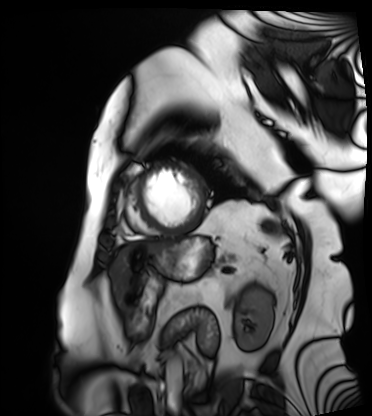
Case summary:
Cardiac MRI. Subject group: patient.